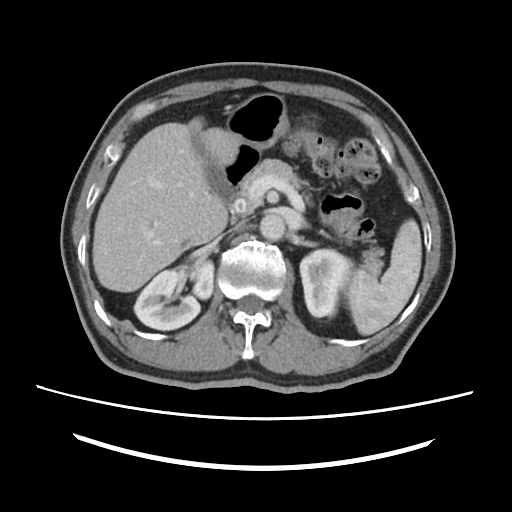
<scan>
  <modality>
    <type>multiphase abdominal CT</type>
    <region>liver</region>
    <phase>portal venous</phase>
  </modality>
  <patient>
    <sex>male</sex>
    <age>67</age>
  </patient>
</scan>